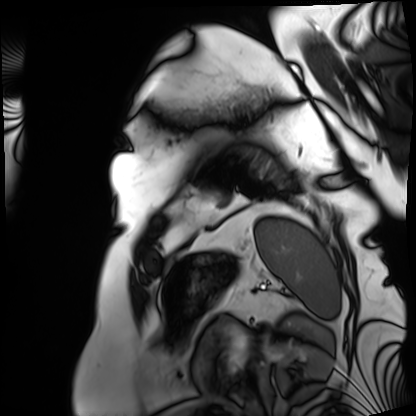
Cardiac MRI. Subject group: patient.